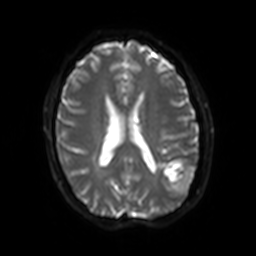
  modality:
    type: brain MRI
    field_strength: 3T
  series: diffusion-weighted imaging with SENSE (WIP)
  study_topic: ring-enhancing brain masses